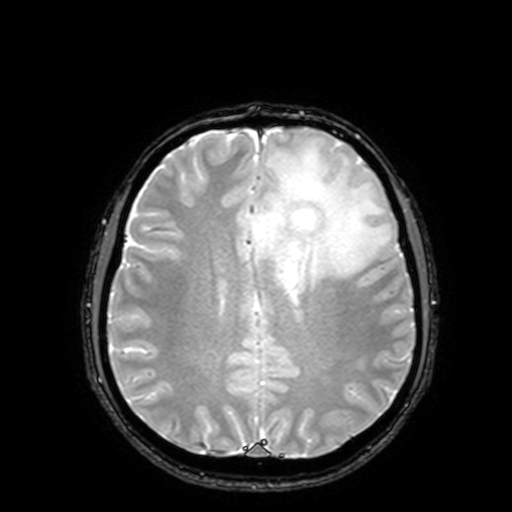
Summary: 3 Tesla brain MRI. Series: T2-weighted fast field echo with SENSE. Study: ring-enhancing brain masses.